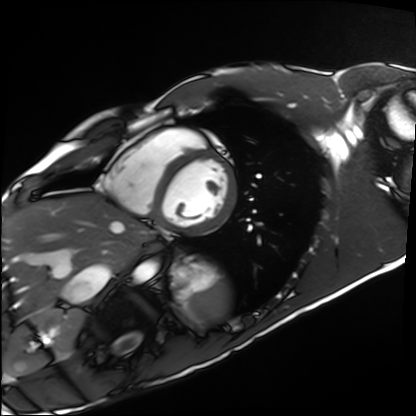
Summary:
Cardiac MRI. Subject group: healthy volunteer.